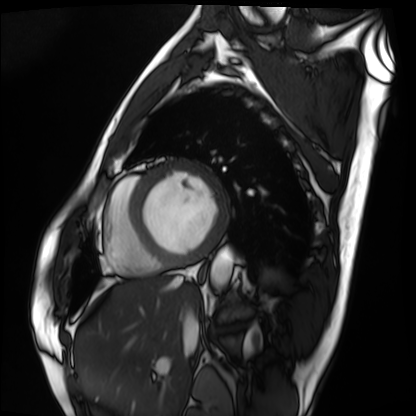
Q: What kind of scan is this?
A: Cardiac MRI.
Subject group: patient.